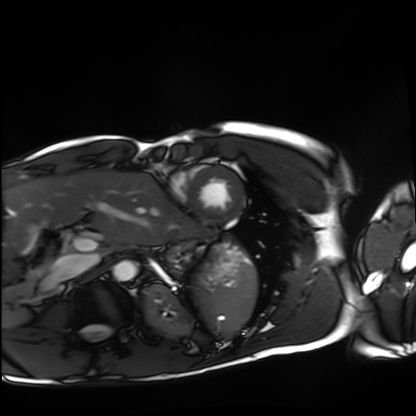
Clinical context:
Cardiac MRI. Subject group: healthy volunteer.